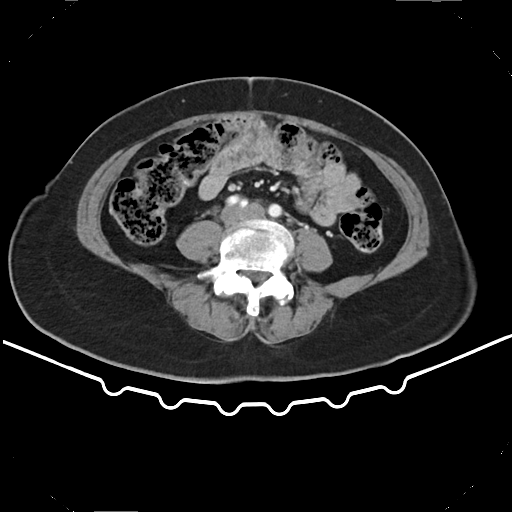
Multiphase abdominal CT, liver, arterial phase. Patient: female, age 53. History: prior chemotherapy.